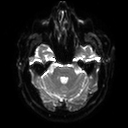
3 Tesla brain MRI. Series: diffusion tensor imaging (medium iso). Study: ring-enhancing brain masses.